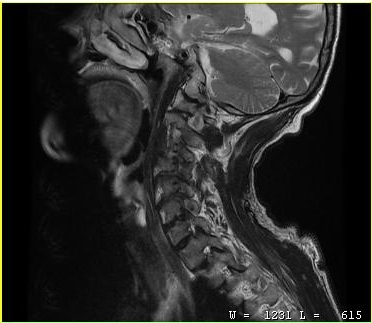
MRI of the cervical spine. Study: cervical spondylosis.